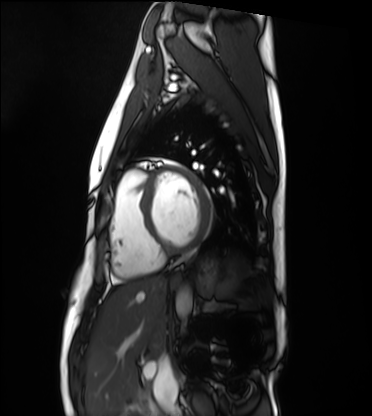
Cardiac MRI. Subject group: healthy volunteer.